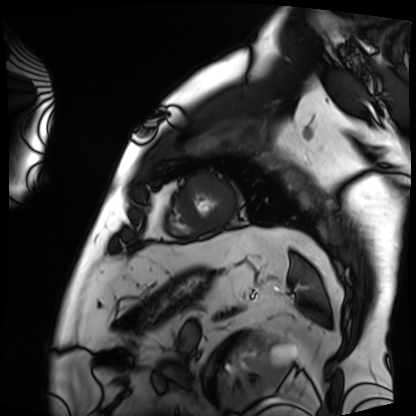
Summary: Cardiac MRI. Subject group: patient.